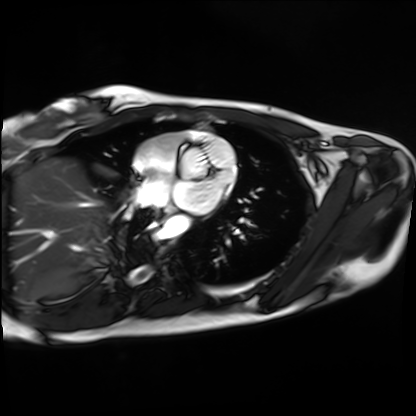
Cardiac MRI.
Subject group: healthy volunteer.